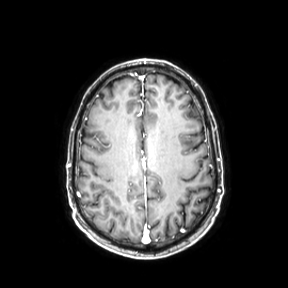
Clinical context: 3 Tesla brain MRI. Series: axial. Study: ring-enhancing brain masses.